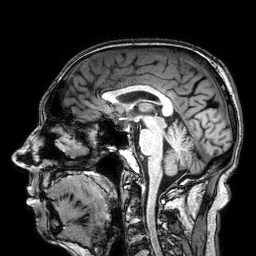
Summary:
3 Tesla brain MRI. Series: 3D T1-weighted. Study: ring-enhancing brain masses.